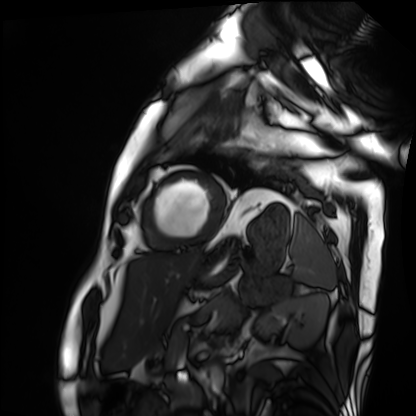
Cardiac MRI. Subject group: patient.